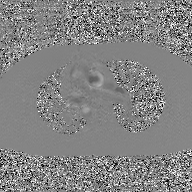
modality — 2D phase-contrast cine MRI of the ascending aorta, GAN super-resolution reconstruction.